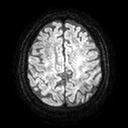
3 Tesla brain MRI. Series: diffusion tensor imaging (medium iso). Study: ring-enhancing brain masses.